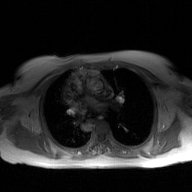
{"modality": {"type": "2D phase-contrast cine MRI", "region": "ascending aorta", "reconstruction": "GAN super-resolution reconstruction"}}